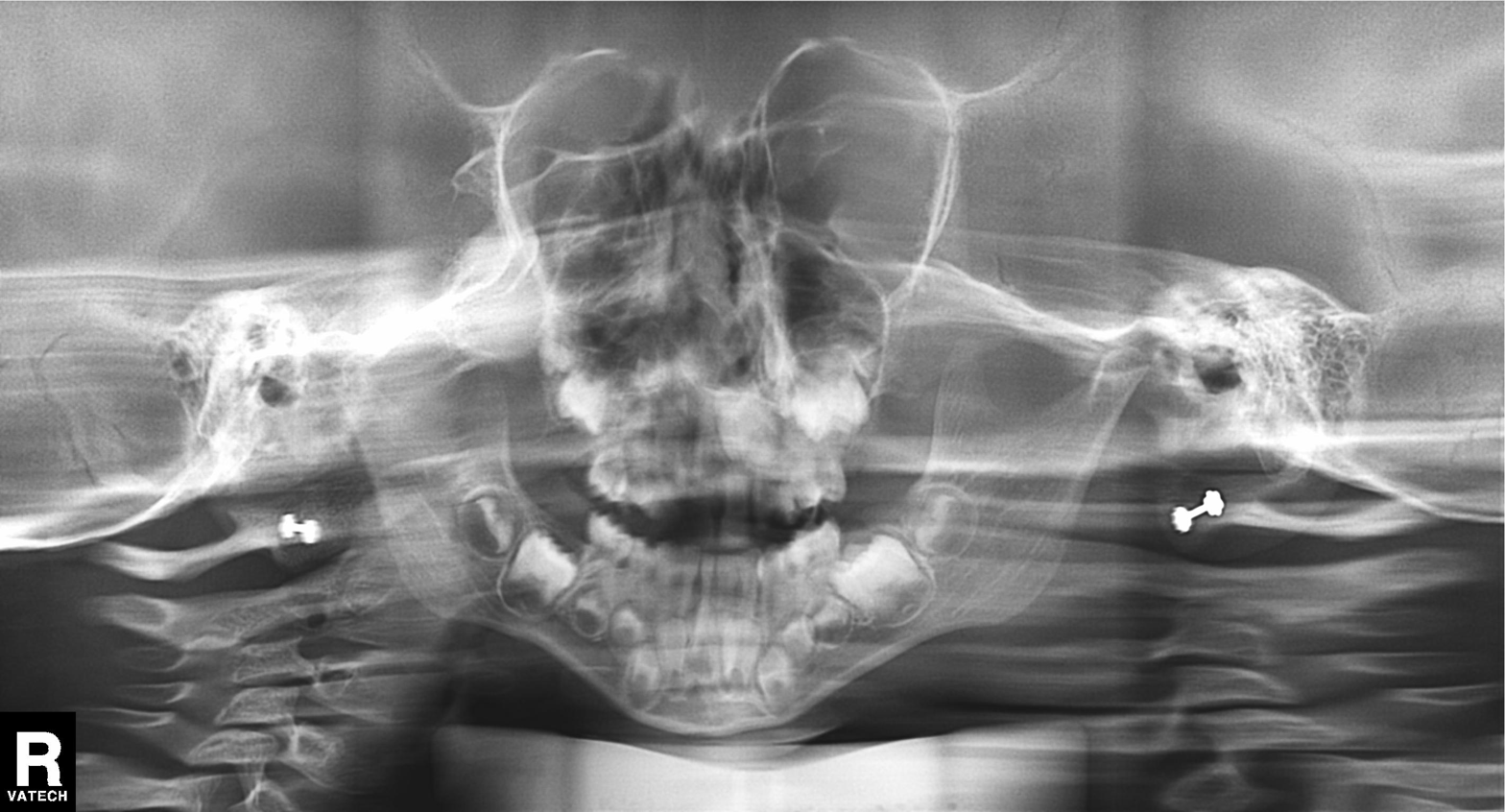
Panoramic dental radiograph (orthopantomogram).
Finding: alveolar bone loss.